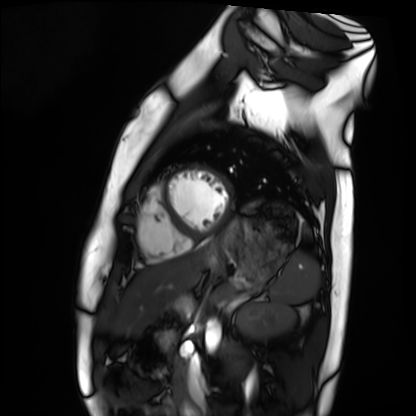
  modality: cardiac MRI
  cohort: healthy volunteer